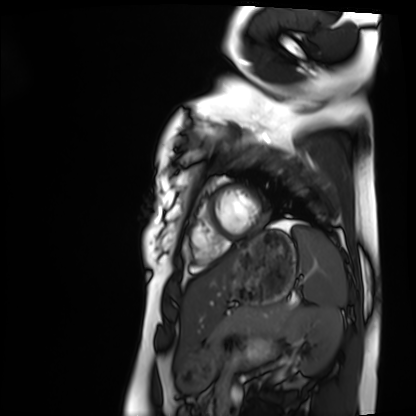
Cardiac MRI. Subject group: healthy volunteer.